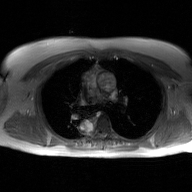
2D phase-contrast cine MRI of the ascending aorta, GAN super-resolution reconstruction.